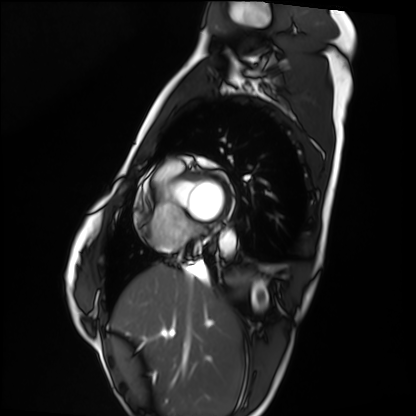
{"modality": "cardiac MRI", "cohort": "healthy volunteer"}